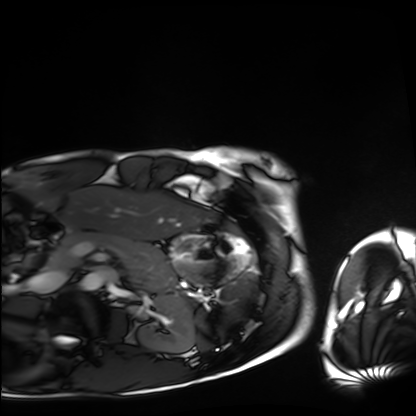
Summary: Cardiac MRI. Subject group: healthy volunteer.